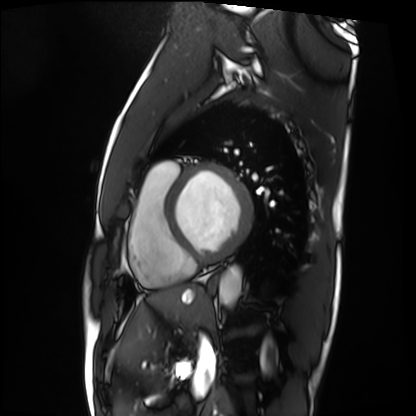
Cardiac MRI. Subject group: patient.